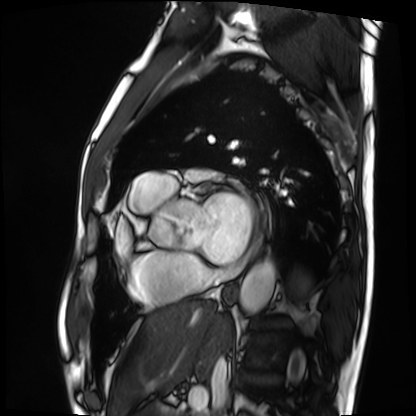
modality: cardiac MRI
cohort: patient